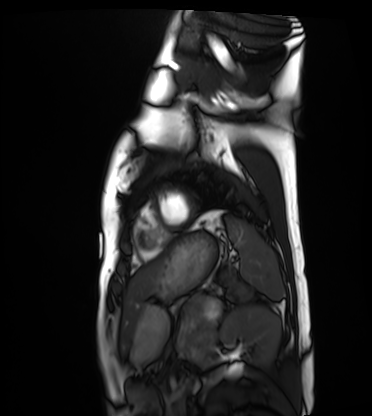
modality: cardiac MRI
subject group: healthy volunteer